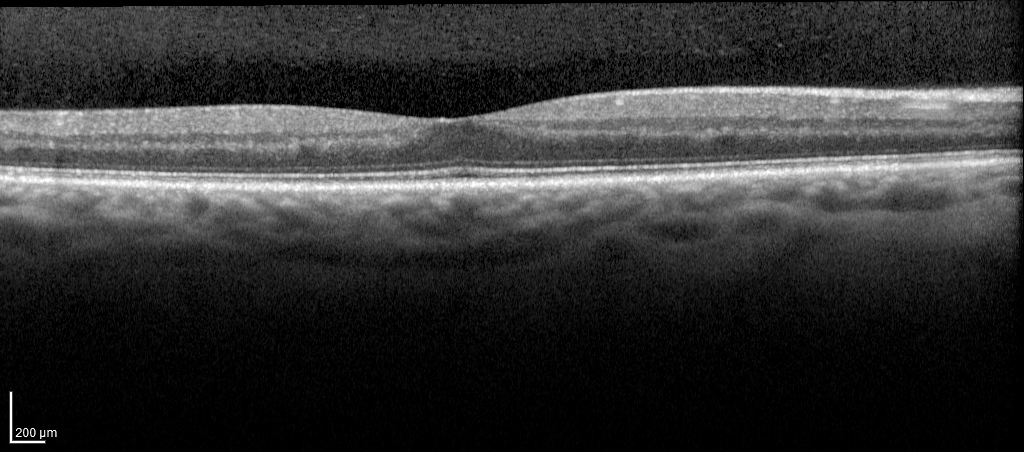
Findings:
Spectral-domain optical coherence tomography (SD-OCT) of the macula. Subject: male, age 59, right eye. Cohort: diabetic subject. ETDRS-grid retinal thickness (μm): central 299, inner temporal 324, inner nasal 350, inner superior 340, inner inferior 333, outer temporal 286, outer nasal 316, outer superior 302.